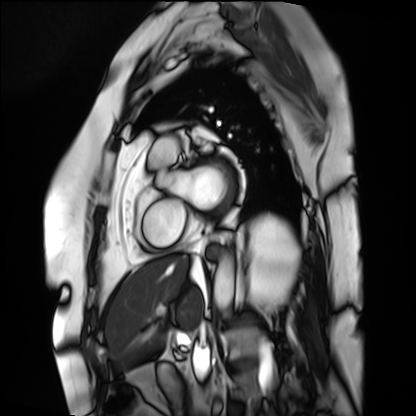
modality=cardiac MRI | subject group=patient.